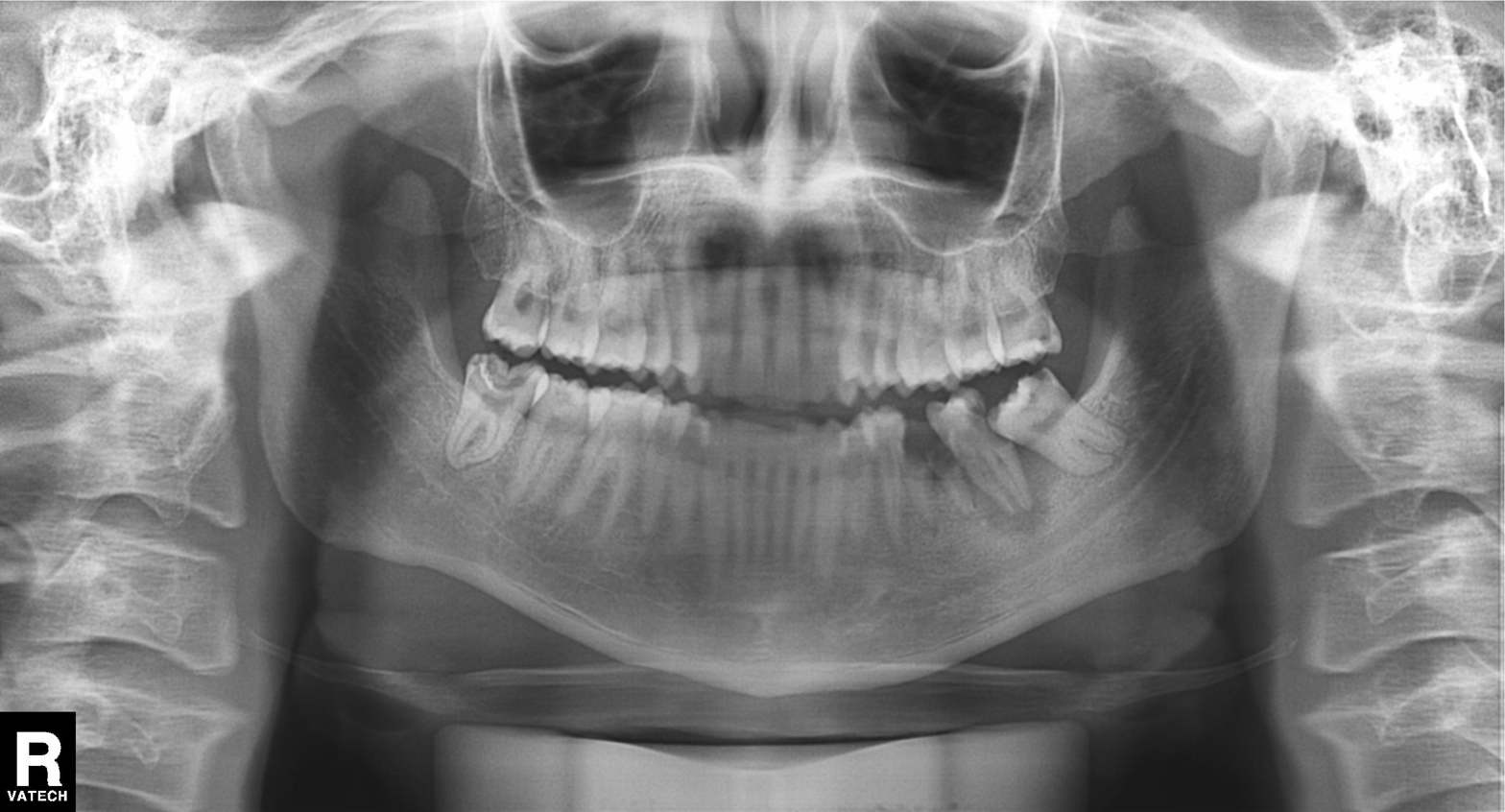
Panoramic dental radiograph (orthopantomogram). Finding: alveolar bone loss.